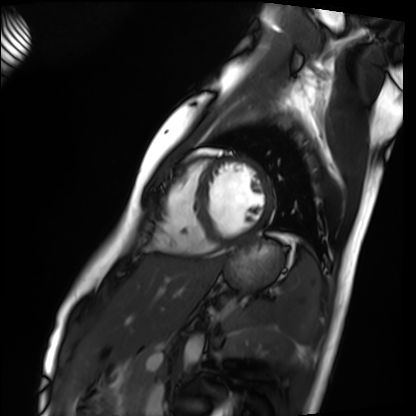
Clinical context:
Cardiac MRI. Subject group: healthy volunteer.